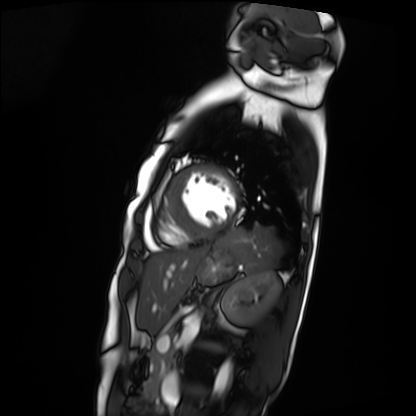
Summary:
Cardiac MRI. Subject group: patient.